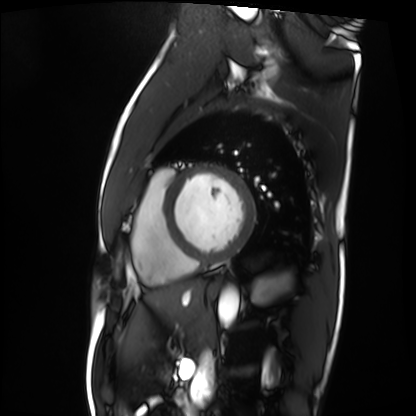
{
  "modality": "cardiac MRI",
  "cohort": "patient"
}